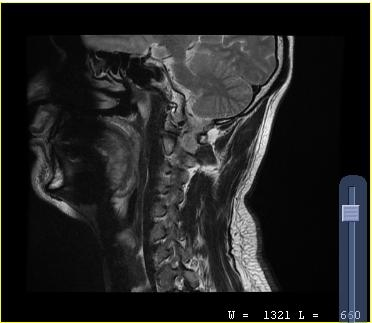
Case summary: MRI of the cervical spine. Study: cervical spondylosis.